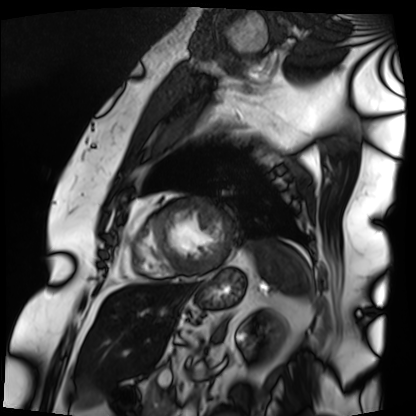
Cardiac MRI. Subject group: patient.